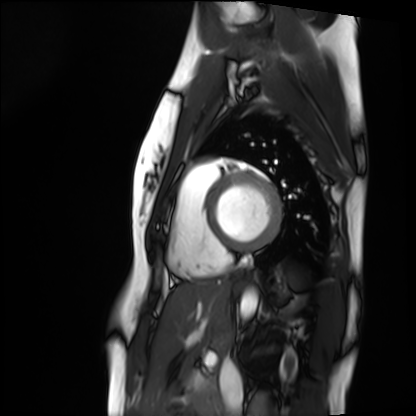
Case summary: Cardiac MRI. Subject group: healthy volunteer.